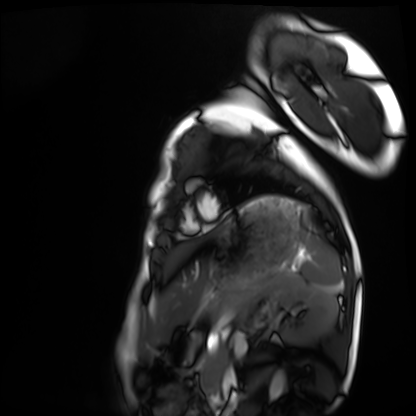
Cardiac MRI.
Subject group: healthy volunteer.